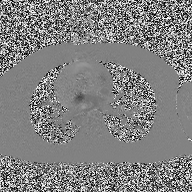
2D phase-contrast cine MRI of the ascending aorta, high-resolution GRAPPA acquisition.